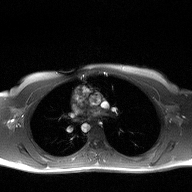
modality — 2D phase-contrast cine MRI of the ascending aorta.